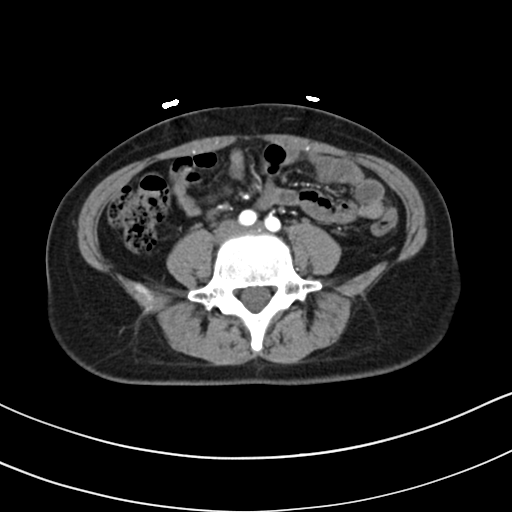
  modality:
    type: multiphase abdominal CT
    region: liver
    phase: arterial
  patient:
    sex: female
    age: 33
  history:
    - prior chemotherapy